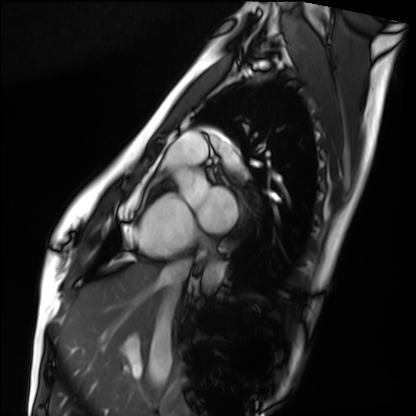
Summary:
Cardiac MRI. Subject group: healthy volunteer.